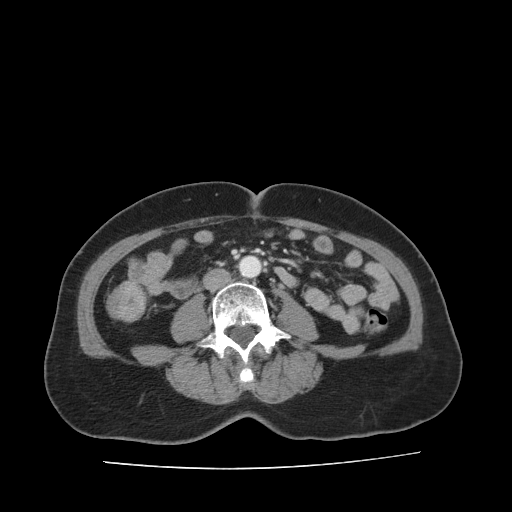
  modality:
    type: multiphase abdominal CT
    region: liver
    phase: portal venous
  patient:
    sex: female
    age: 61